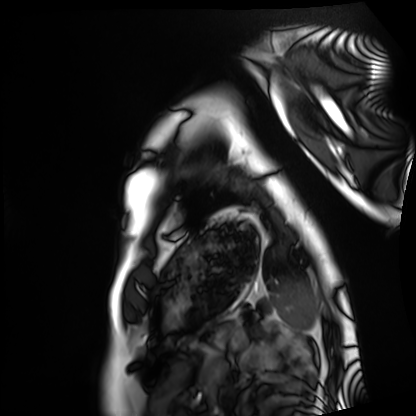
Case summary: Cardiac MRI. Subject group: healthy volunteer.